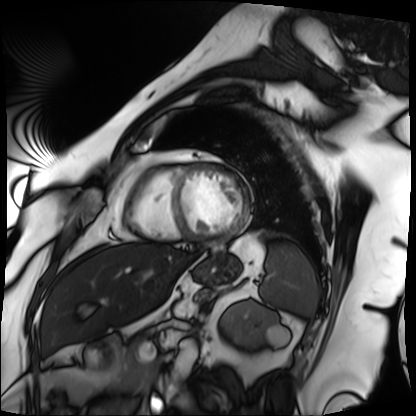
- modality — cardiac MRI
- subject group — patient